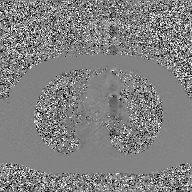
Q: What kind of scan is this?
A: 2D phase-contrast cine MRI of the ascending aorta, GAN super-resolution reconstruction.